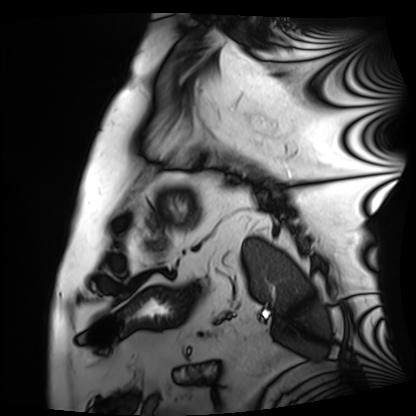
modality — cardiac MRI; subject group — patient.